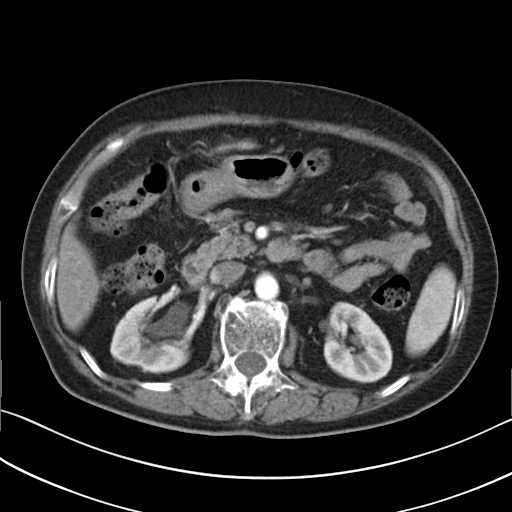
Multiphase abdominal CT, liver, arterial phase.
Patient: female, age 76.